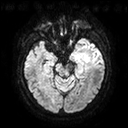
Q: What kind of scan is this?
A: 3 Tesla brain MRI.
Q: Series?
A: Diffusion tensor imaging (medium iso).
Study: ring-enhancing brain masses.